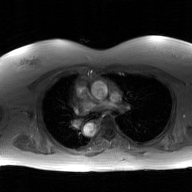
2D phase-contrast cine MRI of the ascending aorta, GAN super-resolution reconstruction.